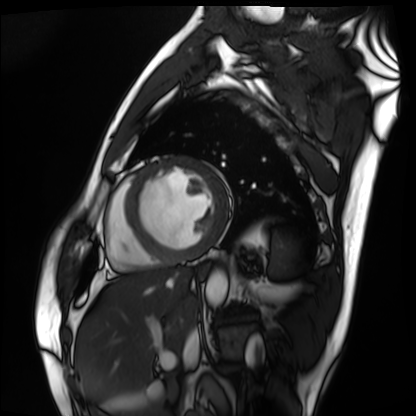
Cardiac MRI. Subject group: patient.